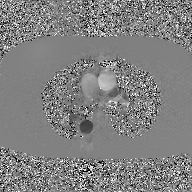
modality = 2D phase-contrast cine MRI of the ascending aorta, GAN super-resolution reconstruction